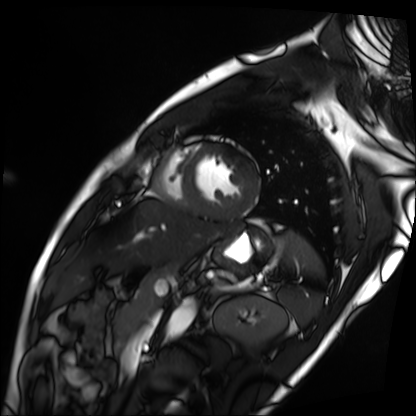
Summary:
Cardiac MRI. Subject group: patient.